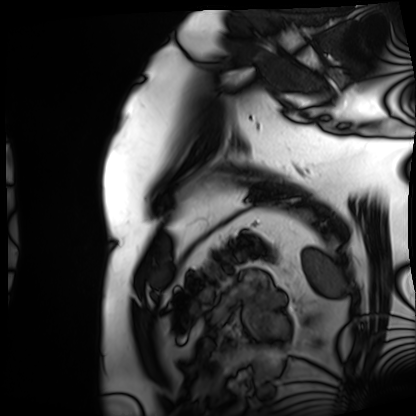
modality = cardiac MRI; subject group = patient.